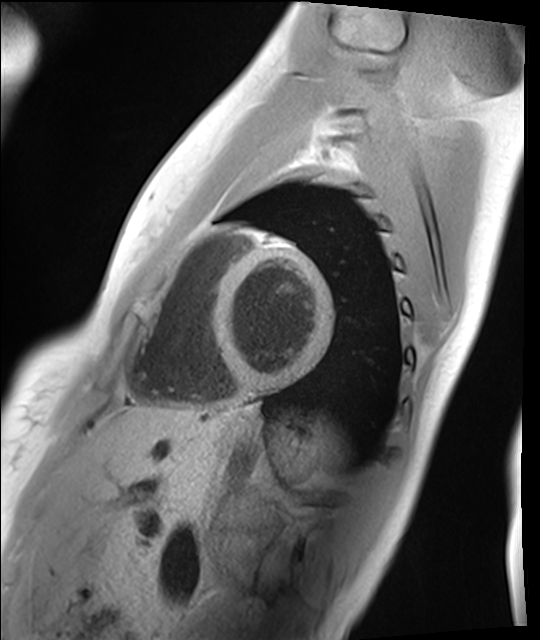
{"modality": "cardiac MRI", "cohort": "healthy volunteer"}